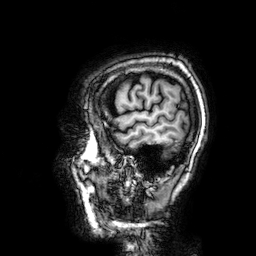
Case summary:
3 Tesla brain MRI. Series: 3D T1-weighted. Study: ring-enhancing brain masses.